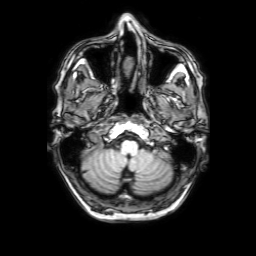
3 Tesla brain MRI.
Series: 3D T1-weighted with SENSE.
Study: ring-enhancing brain masses.